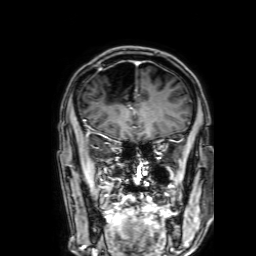
* modality: 3 Tesla brain MRI
* series: 3D T1-weighted with SENSE
* study: ring-enhancing brain masses